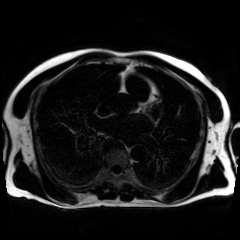
Chemical-shift-encoded cardiac MRI.